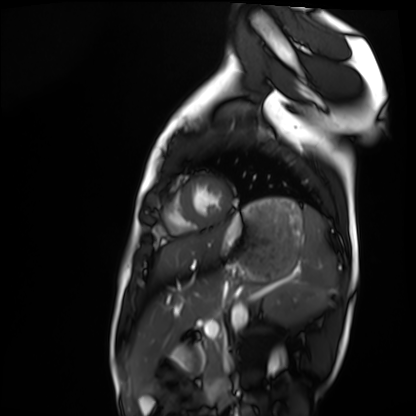
Cardiac MRI. Subject group: healthy volunteer.